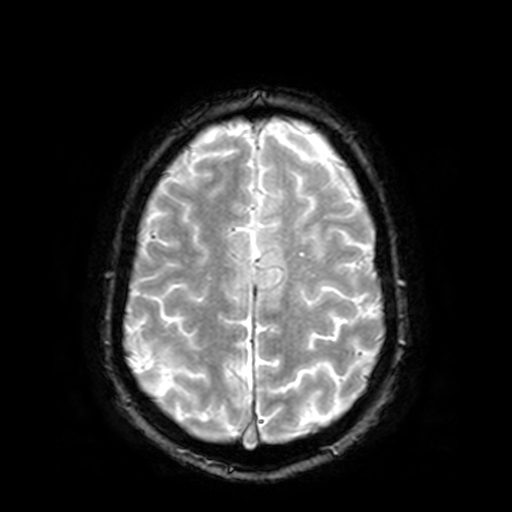
modality:
  type: brain MRI
  field_strength: 3T
series: T2-weighted fast field echo
study_topic: ring-enhancing brain masses